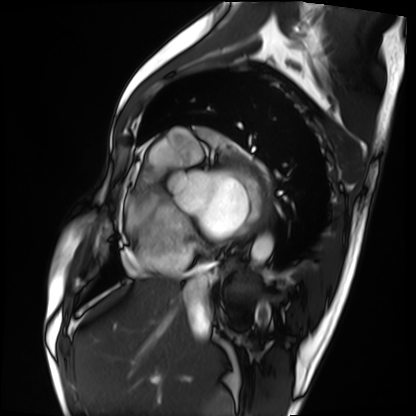
Q: What kind of scan is this?
A: Cardiac MRI.
Subject group: patient.